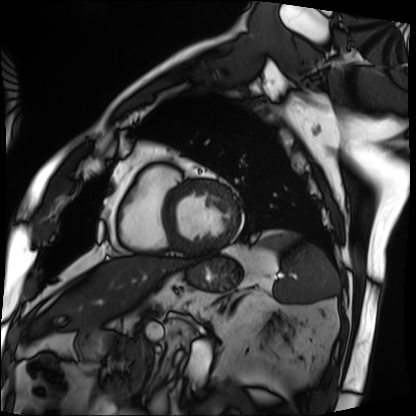
  modality: cardiac MRI
  cohort: patient